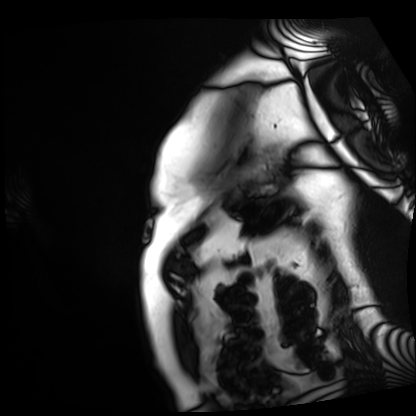
– modality · cardiac MRI
– subject group · patient